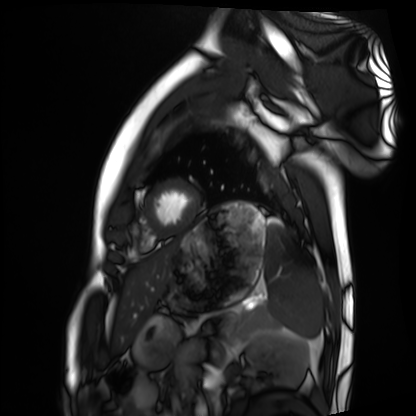
Cardiac MRI. Subject group: healthy volunteer.